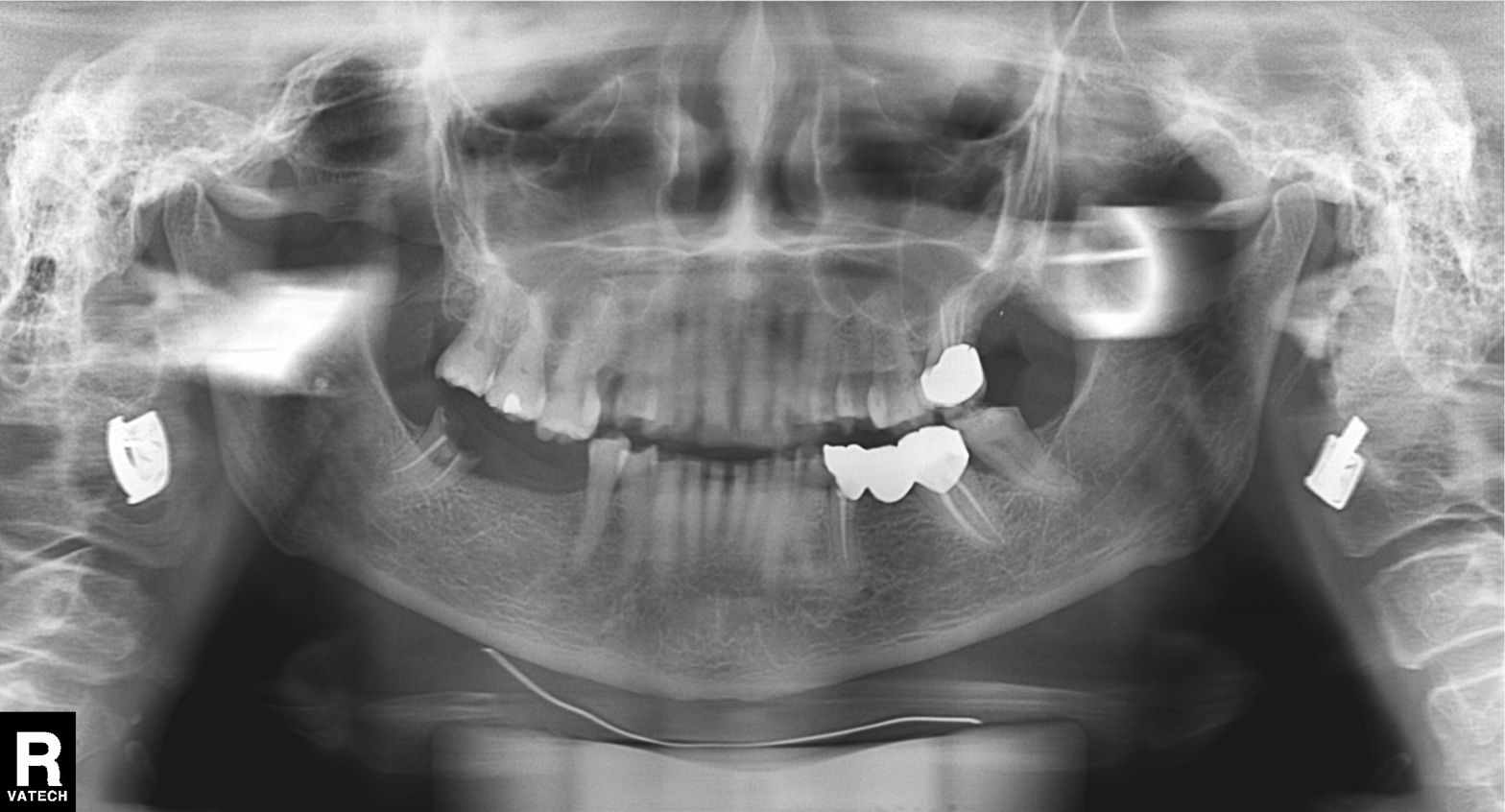
modality = panoramic dental radiograph (orthopantomogram); finding = dental caries (cavities).